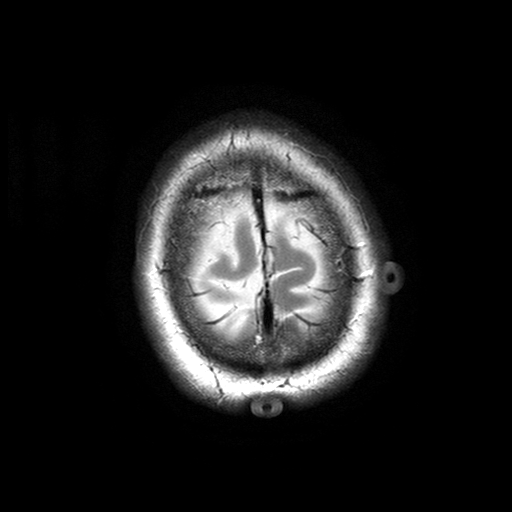
– modality · 3 Tesla brain MRI
– series · T2-weighted turbo spin echo with SENSE
– study · ring-enhancing brain masses